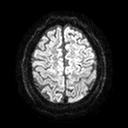
3 Tesla brain MRI. Series: diffusion tensor imaging (medium iso). Study: ring-enhancing brain masses.